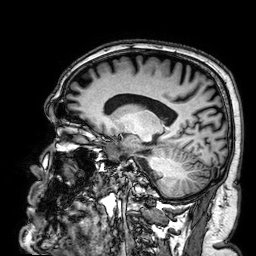
3 Tesla brain MRI. Series: 3D T1-weighted. Study: ring-enhancing brain masses.